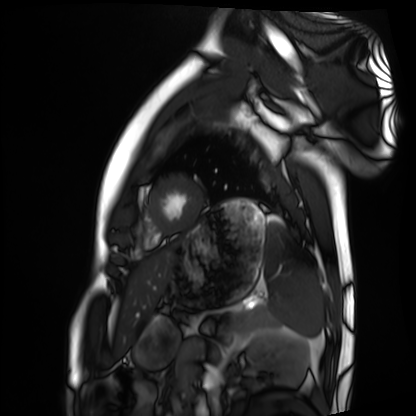
Summary: Cardiac MRI. Subject group: healthy volunteer.